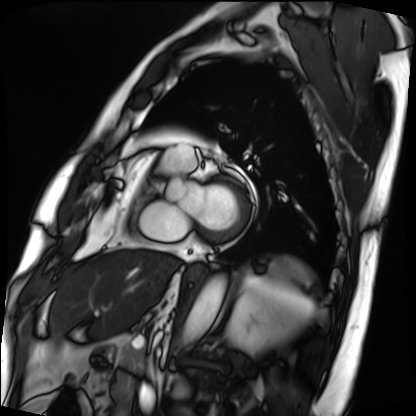
Cardiac MRI.
Subject group: patient.